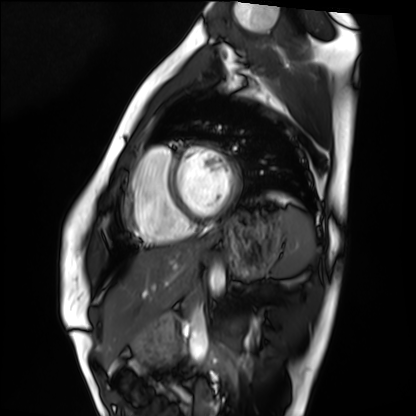
* modality · cardiac MRI
* subject group · healthy volunteer